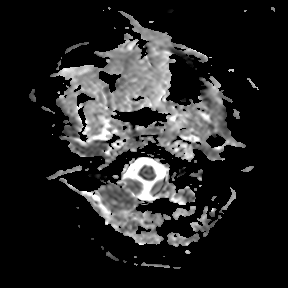
modality = 3 Tesla brain MRI; series = apparent diffusion coefficient (ADC) map; study = ring-enhancing brain masses.